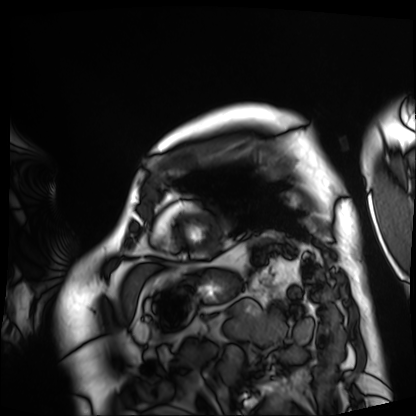
{
  "modality": "cardiac MRI",
  "cohort": "patient"
}